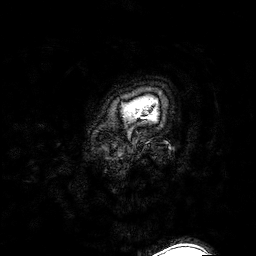
3 Tesla brain MRI. Series: 3D T1-weighted turbo field echo with SENSE. Study: ring-enhancing brain masses.